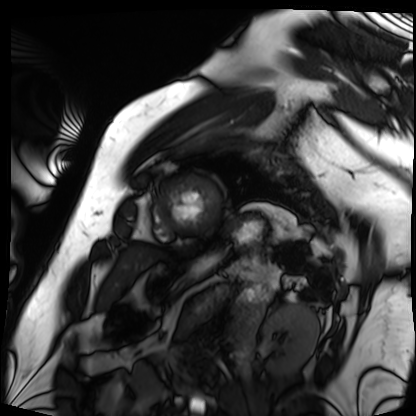
Case summary:
Cardiac MRI. Subject group: patient.